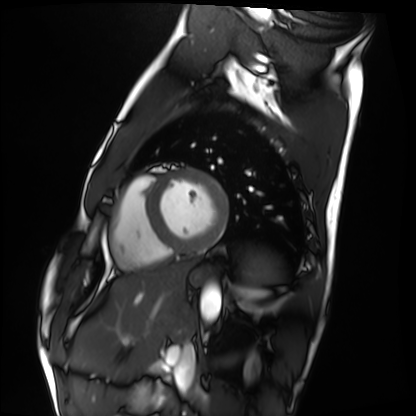
{
  "modality": "cardiac MRI",
  "cohort": "healthy volunteer"
}